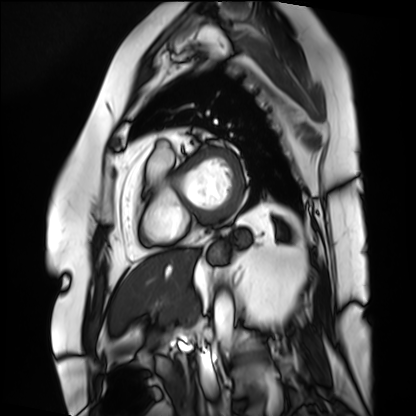
Q: What kind of scan is this?
A: Cardiac MRI.
Subject group: patient.